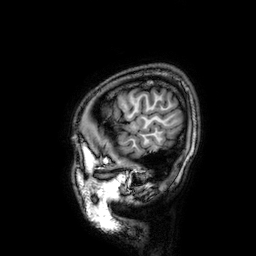
modality = 3 Tesla brain MRI; series = 3D T1-weighted; study = ring-enhancing brain masses.